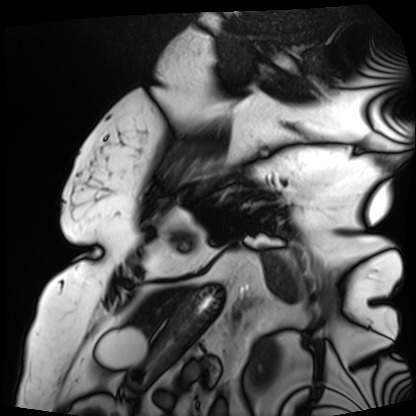
• modality · cardiac MRI
• subject group · patient